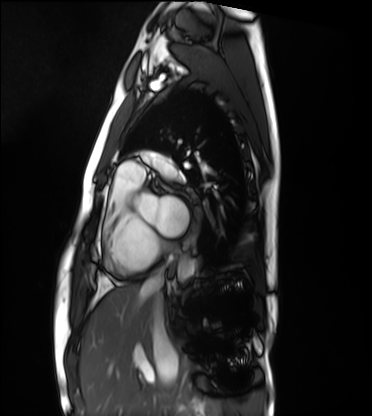
Clinical context: Cardiac MRI. Subject group: healthy volunteer.